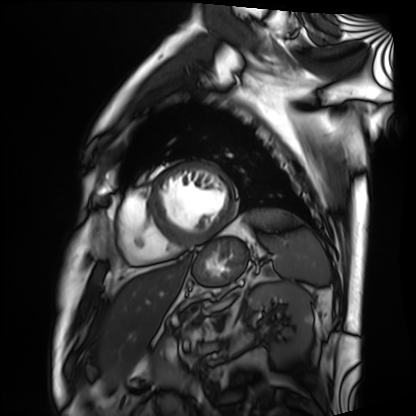
Clinical context:
Cardiac MRI. Subject group: patient.